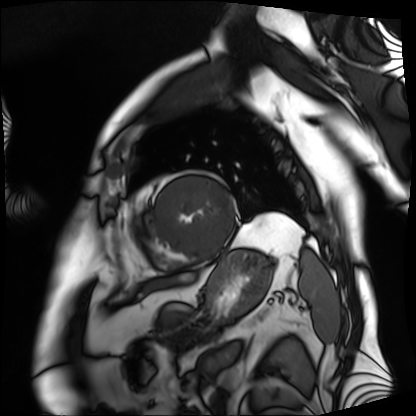
Cardiac MRI.
Subject group: patient.